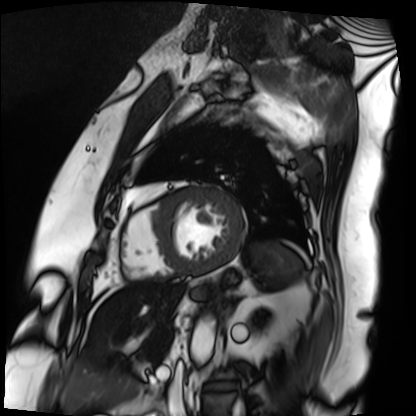
Summary: Cardiac MRI. Subject group: patient.